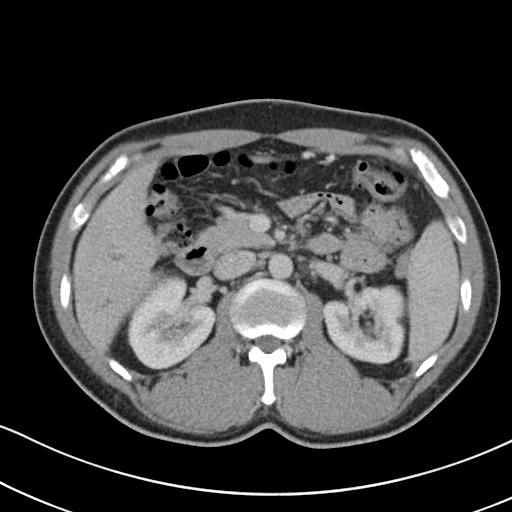
Multiphase abdominal CT, liver, portal venous phase.
Patient: male, age 41.
History: cirrhosis, viral hepatitis.